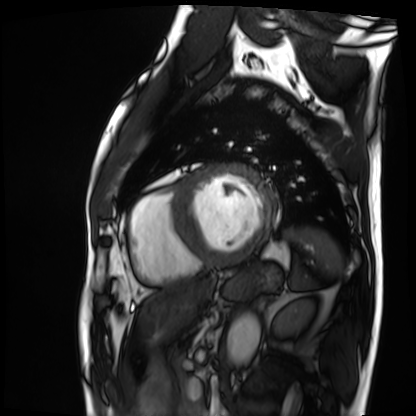
Cardiac MRI. Subject group: patient.